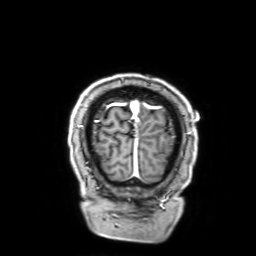
{
  "modality": {
    "type": "brain MRI",
    "field_strength": "3T"
  },
  "series": "3D T1-weighted with SENSE",
  "study_topic": "ring-enhancing brain masses"
}